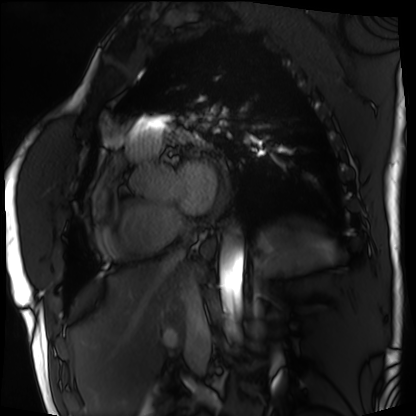
Cardiac MRI. Subject group: patient.